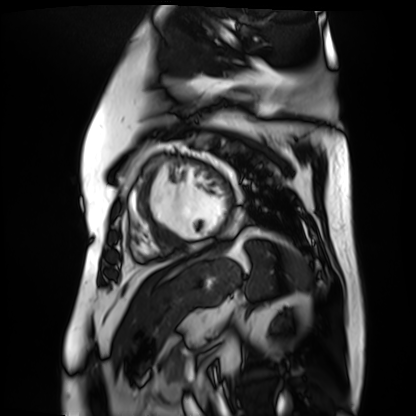
Summary:
Cardiac MR image of the myocardium. Subject cohort: cardiac patient.